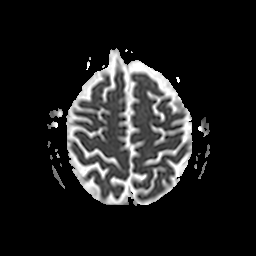
{
  "modality": {
    "type": "brain MRI",
    "field_strength": "3T"
  },
  "series": "apparent diffusion coefficient (ADC) map",
  "study_topic": "ring-enhancing brain masses"
}